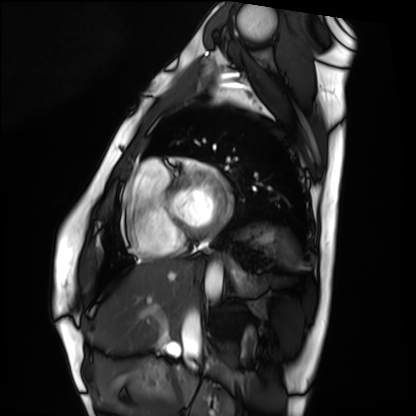
Clinical context: Cardiac MRI. Subject group: healthy volunteer.